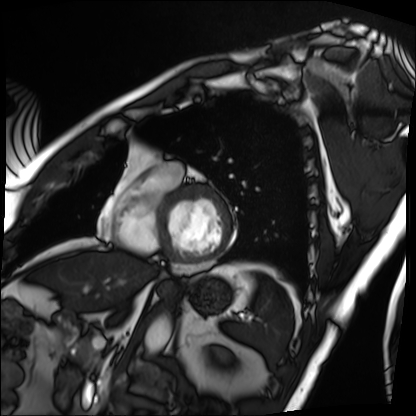
Clinical context: Cardiac MRI. Subject group: patient.